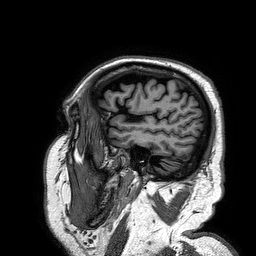
modality = 3 Tesla brain MRI; series = 3D T1-weighted turbo field echo; study = ring-enhancing brain masses.